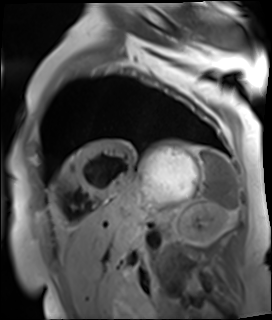
Cardiac MR image of the myocardium. Subject cohort: cardiac patient.